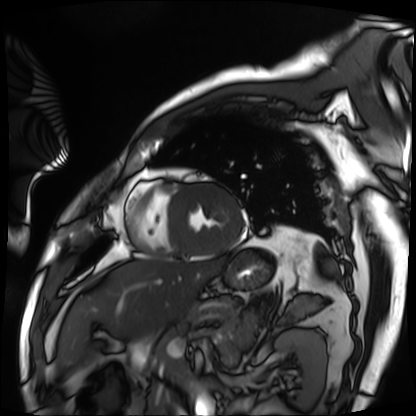
* modality — cardiac MRI
* subject group — patient